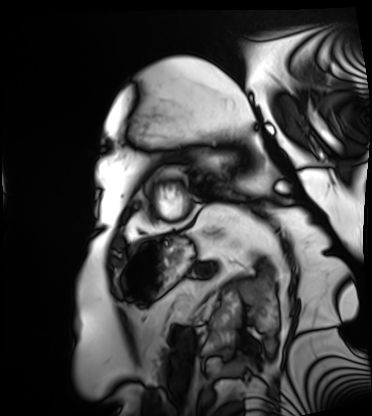
modality = cardiac MRI
subject group = patient